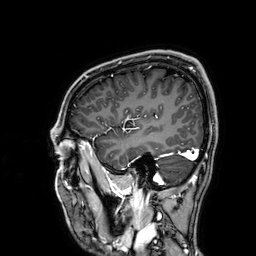
Summary: 3 Tesla brain MRI. Series: 3D T1-weighted. Study: ring-enhancing brain masses.